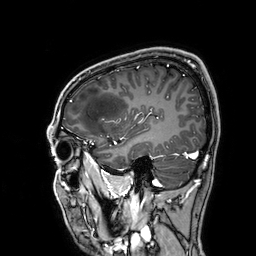
modality: 3 Tesla brain MRI | study: ring-enhancing brain masses.